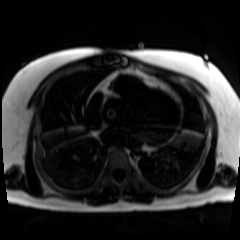
Chemical-shift-encoded cardiac MRI.